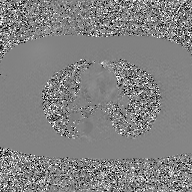
modality: 2D phase-contrast cine MRI of the ascending aorta, GAN super-resolution reconstruction.